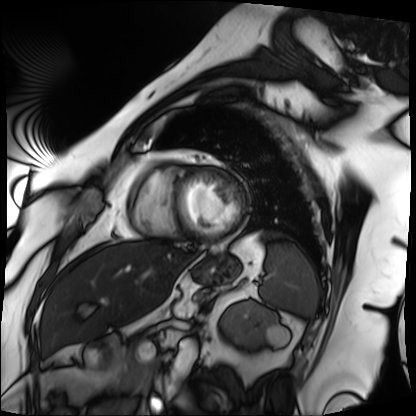
Cardiac MRI.
Subject group: patient.